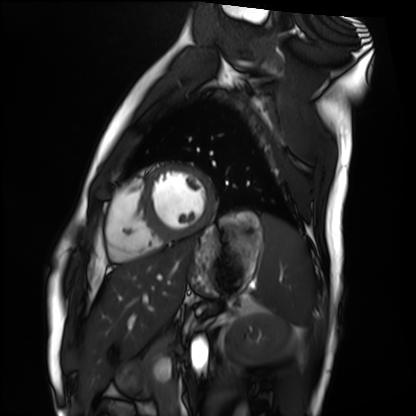
Cardiac MRI.
Subject group: healthy volunteer.